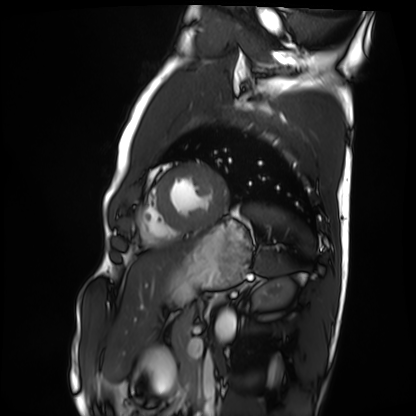
Summary: Cardiac MRI. Subject group: healthy volunteer.